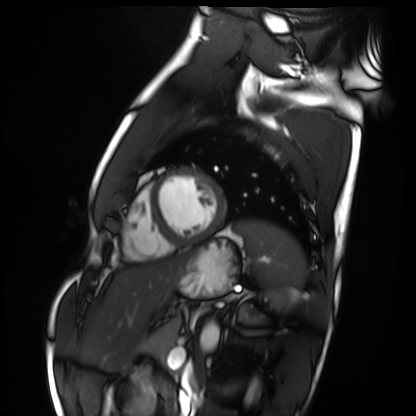
modality = cardiac MRI, subject group = healthy volunteer.